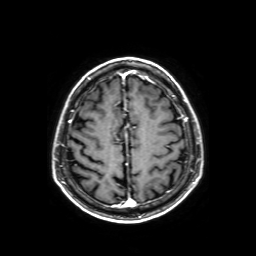
3 Tesla brain MRI. Series: axial T1-weighted fusion image. Study: ring-enhancing brain masses.